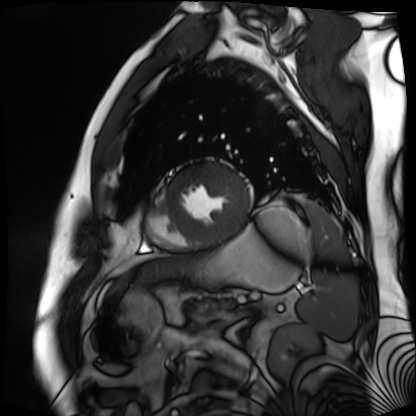
{"modality": "cardiac MR image of the myocardium", "cohort": "cardiac patient"}